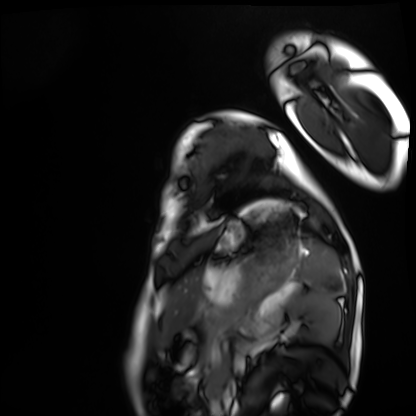
Cardiac MRI. Subject group: healthy volunteer.